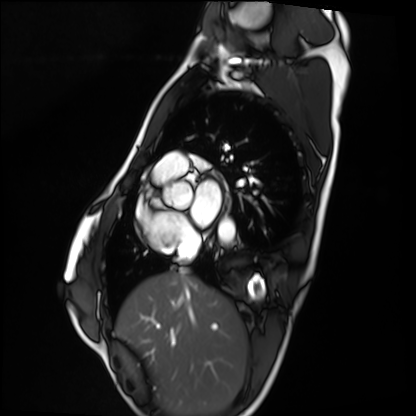
Summary: Cardiac MRI. Subject group: healthy volunteer.